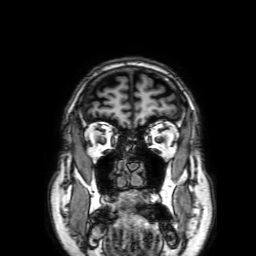
Case summary:
3 Tesla brain MRI. Series: 3D T1-weighted with SENSE. Study: ring-enhancing brain masses.